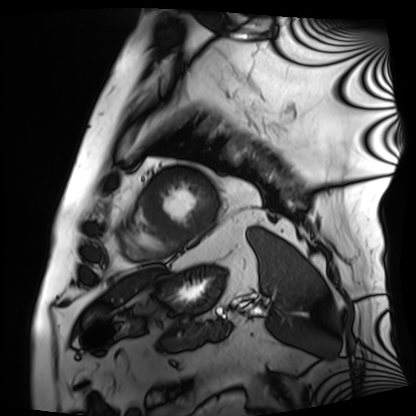
Cardiac MRI.
Subject group: patient.